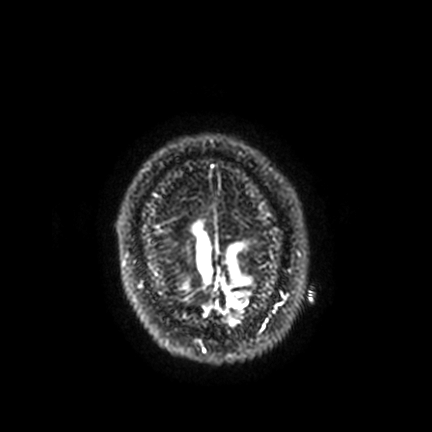
<study>
<modality>
  <type>brain MRI</type>
  <field_strength>3T</field_strength>
</modality>
<series>FLAIR VISTA with SENSE</series>
<study_topic>ring-enhancing brain masses</study_topic>
</study>